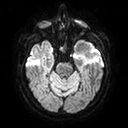
Clinical context:
3 Tesla brain MRI. Series: diffusion tensor imaging (medium iso). Study: ring-enhancing brain masses.